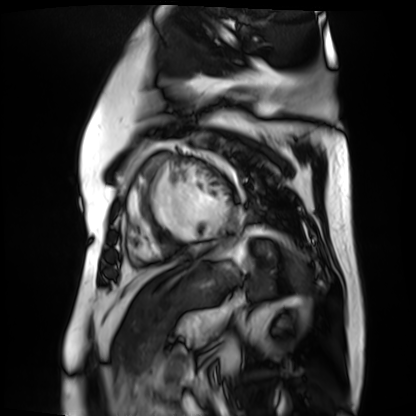
modality: cardiac MR image of the myocardium
subject cohort: cardiac patient